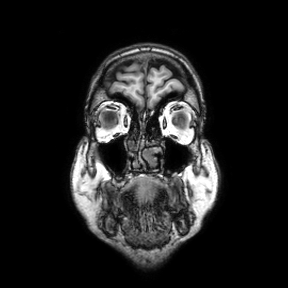
Summary:
3 Tesla brain MRI. Series: coronal. Study: ring-enhancing brain masses.